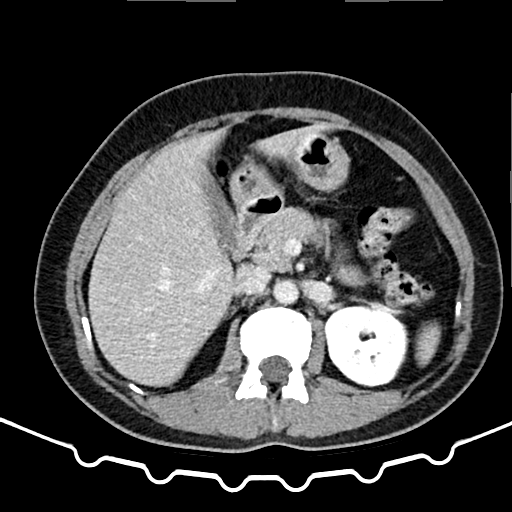
Multiphase abdominal CT, liver, delayed phase.
Patient: female, age 52.